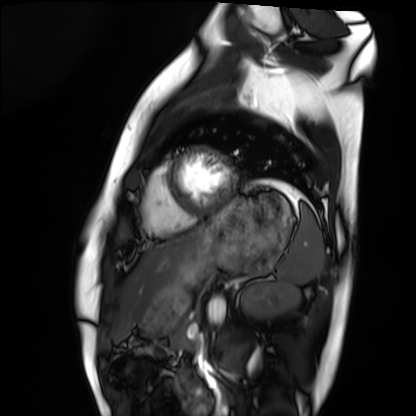
Cardiac MRI.
Subject group: healthy volunteer.